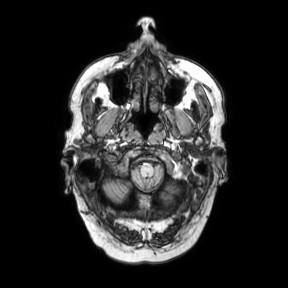
modality: 3 Tesla brain MRI | series: axial | study: ring-enhancing brain masses.